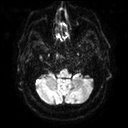
3 Tesla brain MRI.
Series: diffusion tensor imaging (medium iso).
Study: ring-enhancing brain masses.